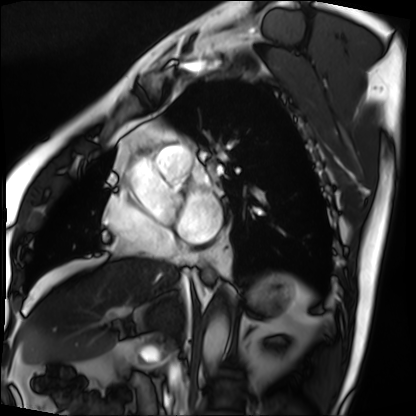
| field | value |
|---|---|
| modality | cardiac MRI |
| subject group | patient |